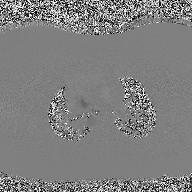
• modality: 2D phase-contrast cine MRI of the ascending aorta